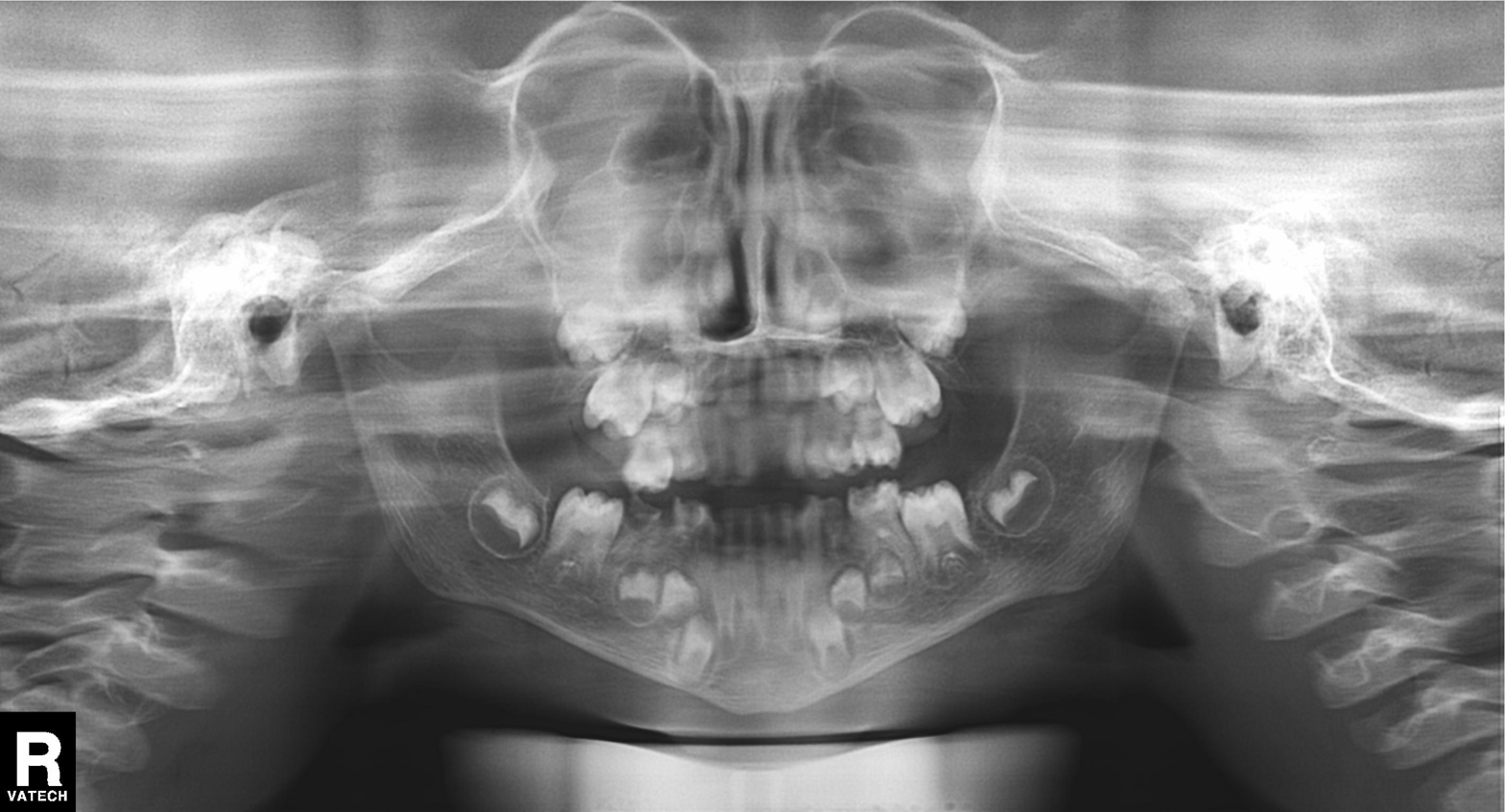
modality: panoramic dental radiograph (orthopantomogram), finding: alveolar bone loss.